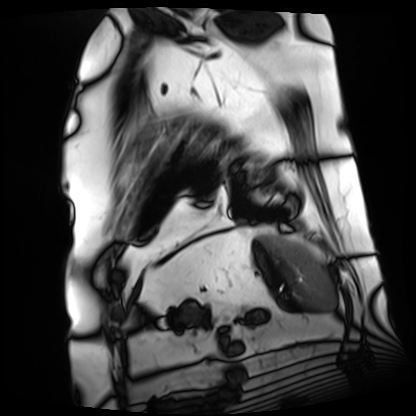
Cardiac MRI. Subject group: patient.